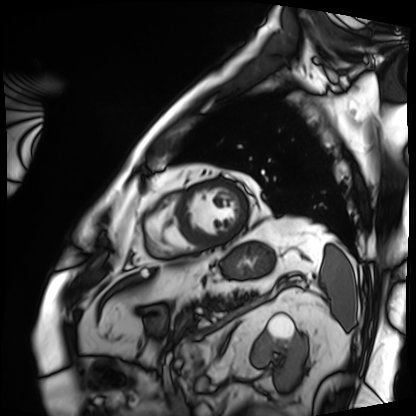
<case>
  <modality>cardiac MRI</modality>
  <cohort>patient</cohort>
</case>